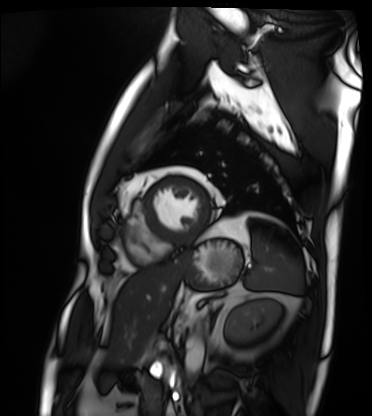
modality: cardiac MRI
cohort: patient